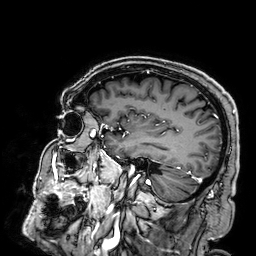
Clinical context:
3 Tesla brain MRI. Study: ring-enhancing brain masses.